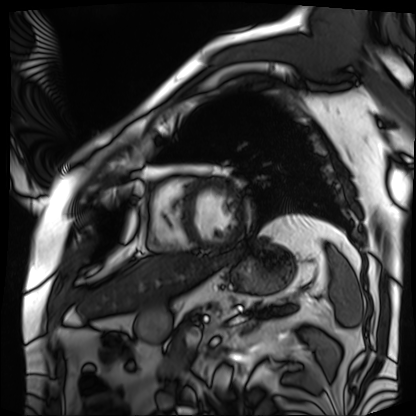
Cardiac MRI. Subject group: patient.